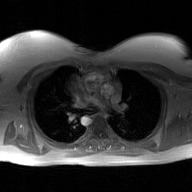
2D phase-contrast cine MRI of the ascending aorta, GAN super-resolution reconstruction.